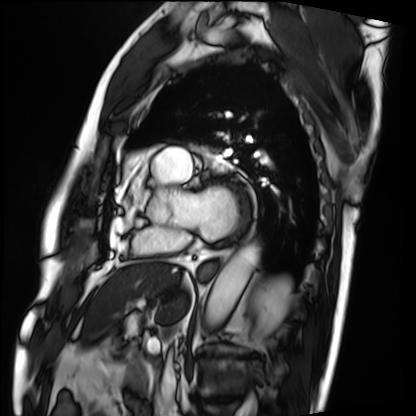
– modality: cardiac MRI
– subject group: patient